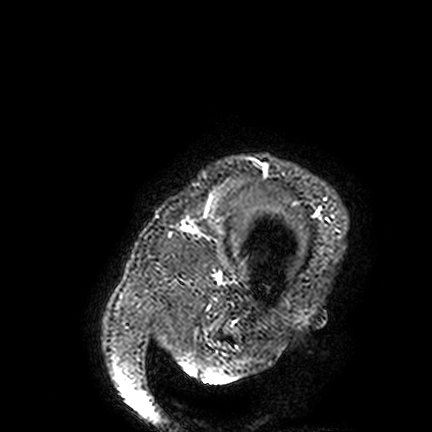
Summary: 3 Tesla brain MRI. Series: FLAIR VISTA. Study: ring-enhancing brain masses.